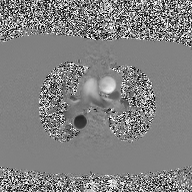
2D phase-contrast cine MRI of the ascending aorta, high-resolution GRAPPA acquisition.